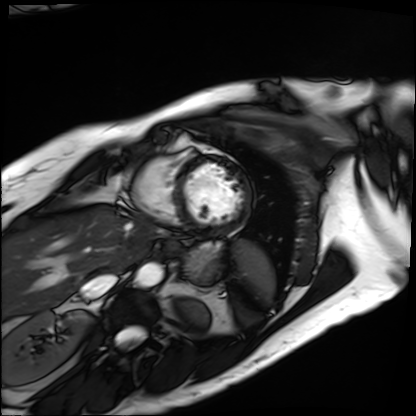
– modality: cardiac MRI
– subject group: patient